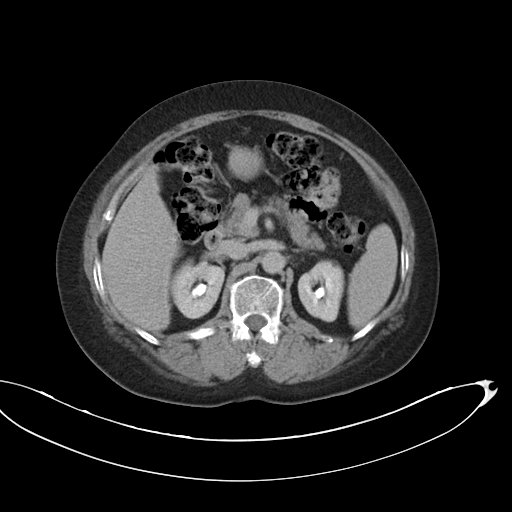
Multiphase abdominal CT, liver, delayed phase.
Patient: female, age 63.
History: viral hepatitis.